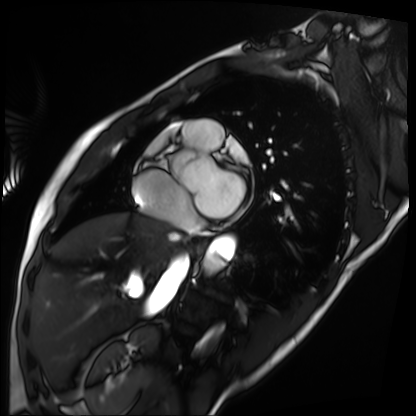
Cardiac MRI. Subject group: patient.